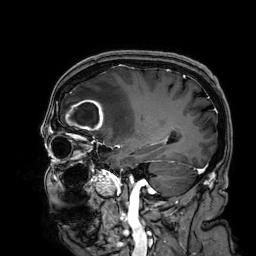
Q: What kind of scan is this?
A: 3 Tesla brain MRI.
Q: Series?
A: 3D T1-weighted.
Study: ring-enhancing brain masses.